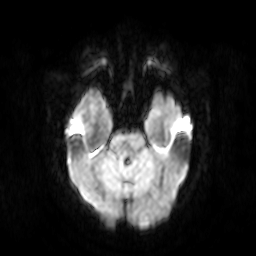
<case>
  <modality>
    <type>brain MRI</type>
    <field_strength>3T</field_strength>
  </modality>
  <series>diffusion-weighted imaging</series>
  <study_topic>ring-enhancing brain masses</study_topic>
</case>